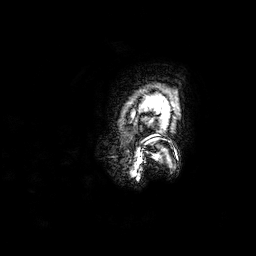
• modality — 3 Tesla brain MRI
• series — 3D T1-weighted
• study — ring-enhancing brain masses